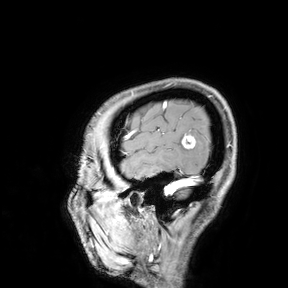
{
  "modality": {
    "type": "brain MRI",
    "field_strength": "3T"
  },
  "study_topic": "ring-enhancing brain masses"
}